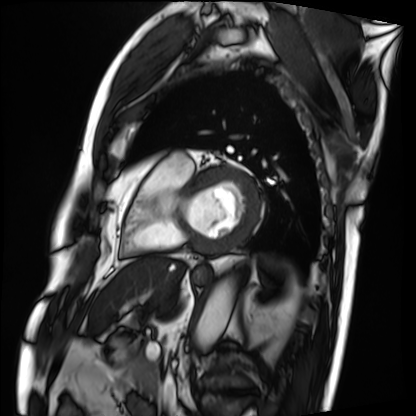
Clinical context:
Cardiac MRI. Subject group: patient.